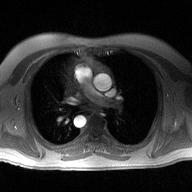
  modality:
    type: 2D phase-contrast cine MRI
    region: ascending aorta
    reconstruction: high-resolution GRAPPA acquisition